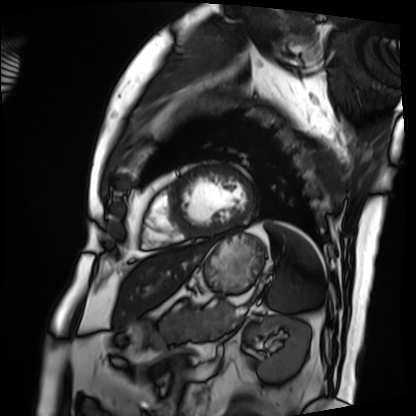
{
  "modality": "cardiac MRI",
  "cohort": "patient"
}